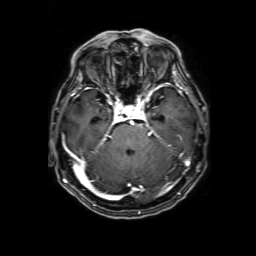
3 Tesla brain MRI.
Series: 3D T1-weighted with SENSE.
Study: ring-enhancing brain masses.